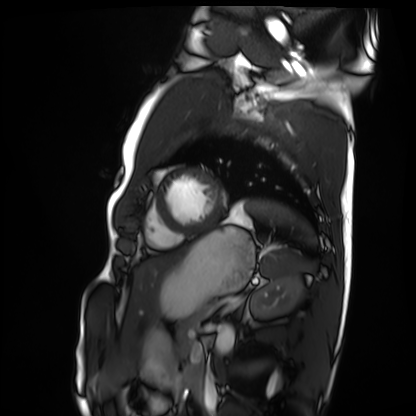
Q: What kind of scan is this?
A: Cardiac MRI.
Subject group: healthy volunteer.